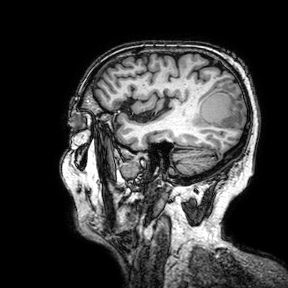
modality: 3 Tesla brain MRI; series: 3D T1-weighted turbo field echo with SENSE; study: ring-enhancing brain masses.